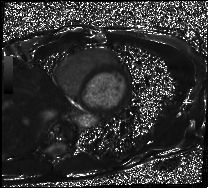
Cardiac MRI.
Subject group: patient.